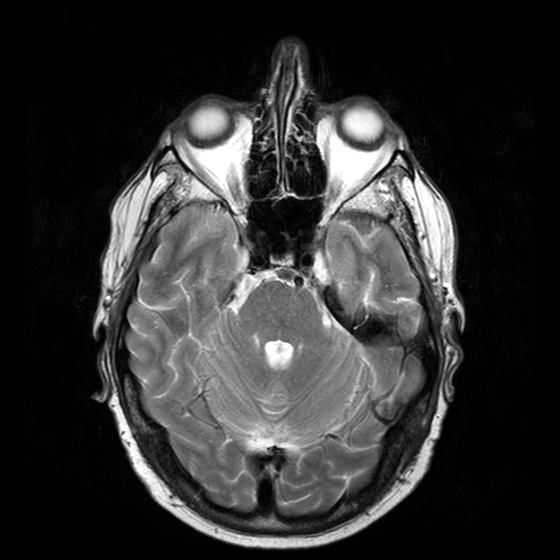
3 Tesla brain MRI.
Series: T2-weighted turbo spin echo with CLEAR.
Study: ring-enhancing brain masses.